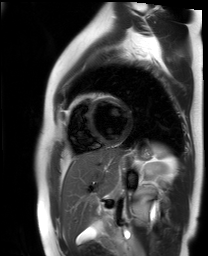
Cardiac MR image of the myocardium. Subject cohort: healthy volunteer.